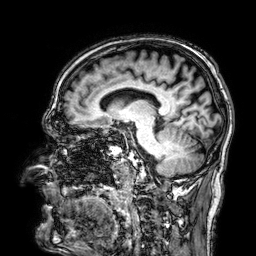
3 Tesla brain MRI.
Series: 3D T1-weighted.
Study: ring-enhancing brain masses.